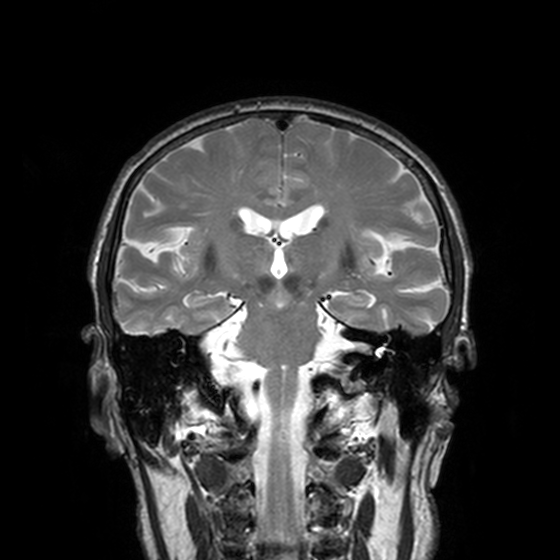
• modality: 3 Tesla brain MRI
• series: T2-weighted turbo spin echo, 3 mm
• study: ring-enhancing brain masses